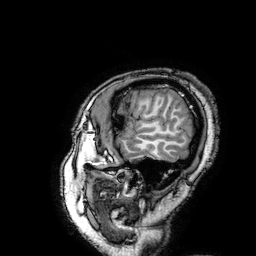
– modality: 3 Tesla brain MRI
– series: 3D T1-weighted turbo field echo with SENSE
– study: ring-enhancing brain masses